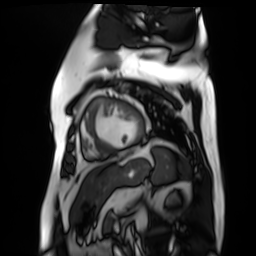
Cardiac MR image of the myocardium. Subject cohort: cardiac patient.